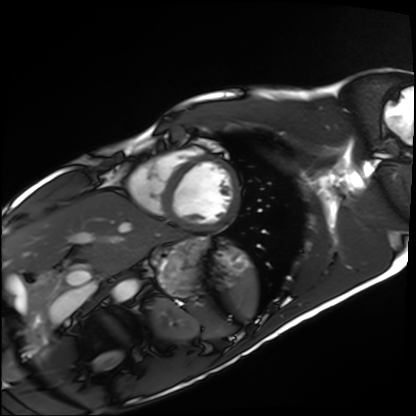
Cardiac MRI.
Subject group: healthy volunteer.